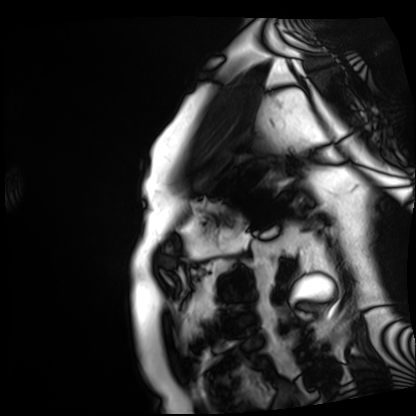
Q: What kind of scan is this?
A: Cardiac MRI.
Subject group: patient.